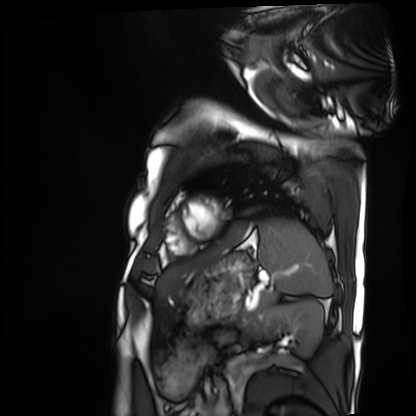
| field | value |
|---|---|
| modality | cardiac MRI |
| subject group | patient |